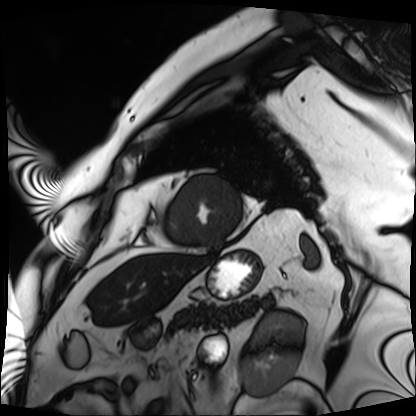
Cardiac MRI. Subject group: patient.